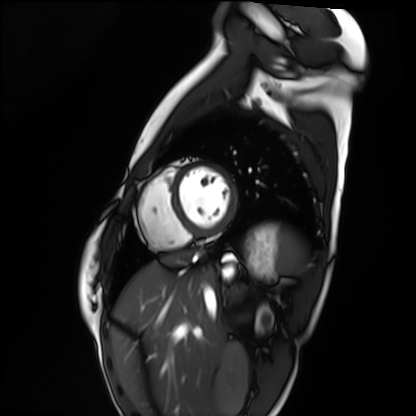
Case:
* modality: cardiac MRI
* subject group: healthy volunteer